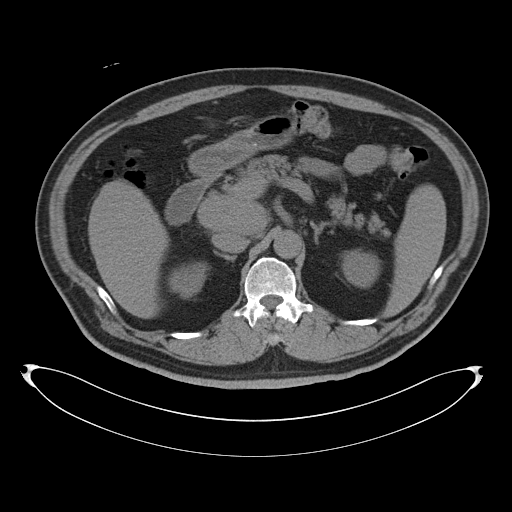
<case>
<modality>
  <type>multiphase abdominal CT</type>
  <region>liver</region>
  <phase>non-contrast</phase>
</modality>
<patient>
  <sex>male</sex>
  <age>53</age>
</patient>
</case>